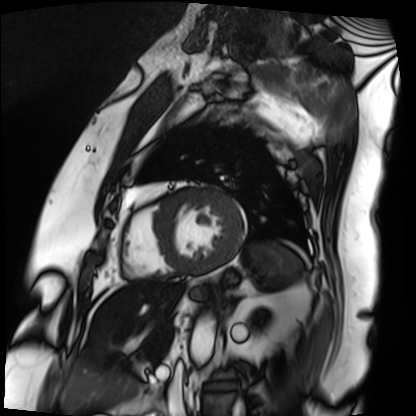
{"modality": "cardiac MRI", "cohort": "patient"}